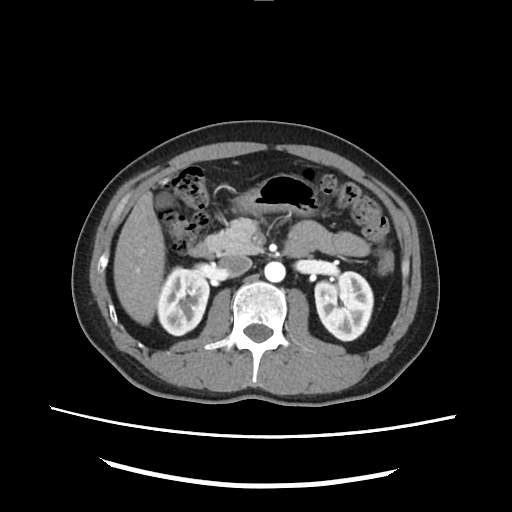
- modality — multiphase abdominal CT, liver, arterial phase
- patient — male, age 40